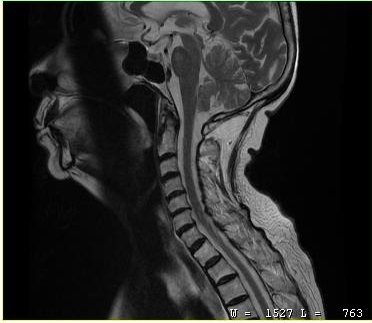
MRI of the cervical spine.
Study: cervical spondylosis.